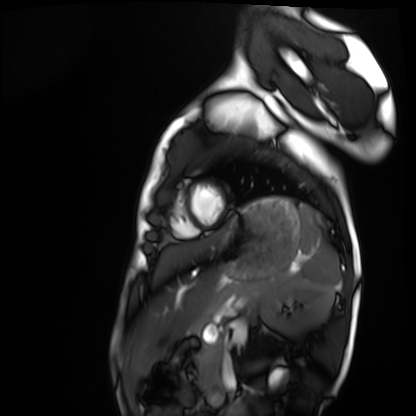
Clinical context:
Cardiac MRI. Subject group: healthy volunteer.